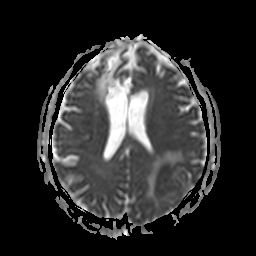
Q: What kind of scan is this?
A: 3 Tesla brain MRI.
Q: Series?
A: Apparent diffusion coefficient (ADC) map.
Study: ring-enhancing brain masses.